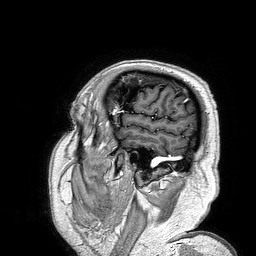
– modality · 3 Tesla brain MRI
– series · 3D T1-weighted turbo field echo
– study · ring-enhancing brain masses